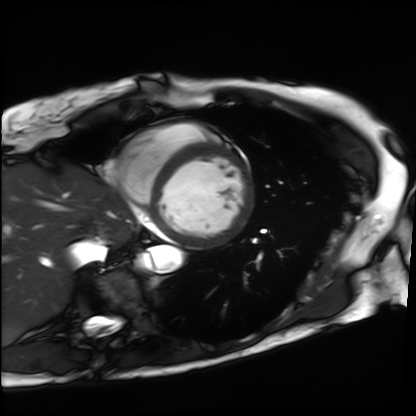
Summary: Cardiac MRI. Subject group: patient.